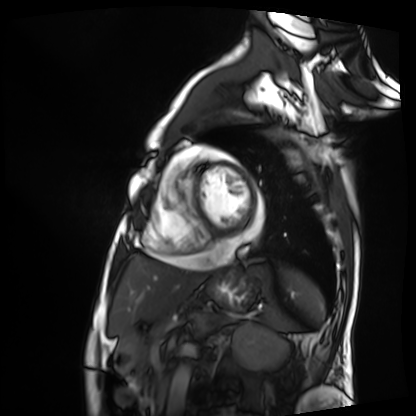
Cardiac MRI.
Subject group: patient.